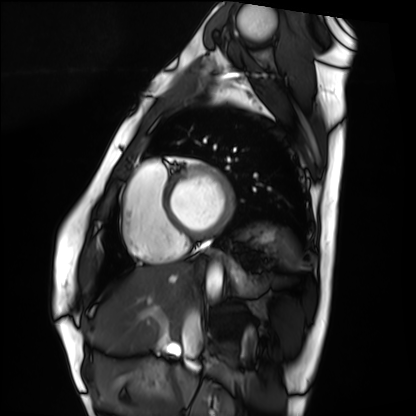
Cardiac MRI.
Subject group: healthy volunteer.